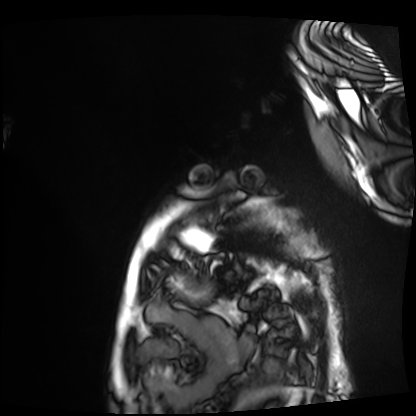
Cardiac MRI.
Subject group: patient.